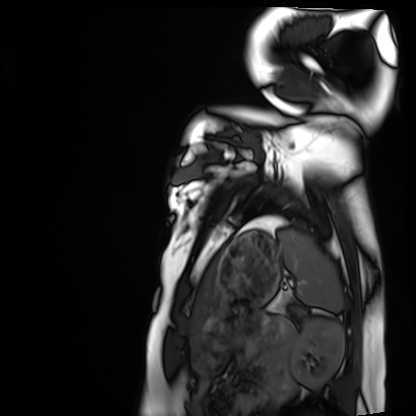
Clinical context: Cardiac MRI. Subject group: healthy volunteer.